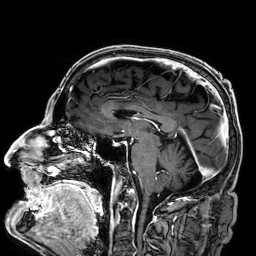
  modality:
    type: brain MRI
    field_strength: 3T
  study_topic: ring-enhancing brain masses